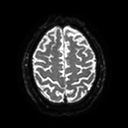
  modality:
    type: brain MRI
    field_strength: 3T
  series: diffusion tensor imaging (medium iso)
  study_topic: ring-enhancing brain masses